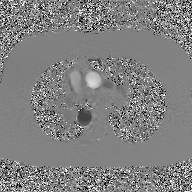
Clinical context:
2D phase-contrast cine MRI of the ascending aorta, GAN super-resolution reconstruction.